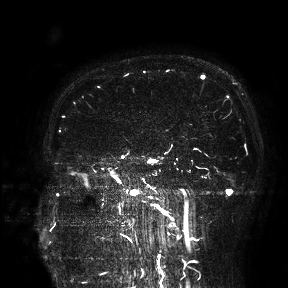
{
  "modality": {
    "type": "brain MRI",
    "field_strength": "3T"
  },
  "study_topic": "ring-enhancing brain masses"
}